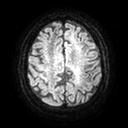
{
  "modality": {
    "type": "brain MRI",
    "field_strength": "3T"
  },
  "study_topic": "ring-enhancing brain masses"
}